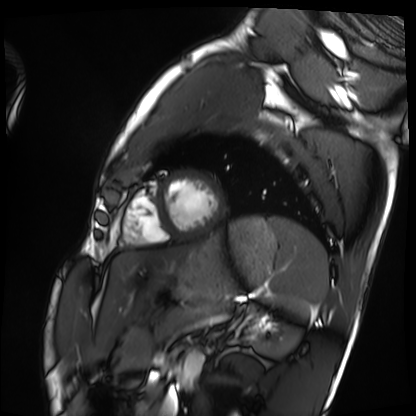
Case summary:
Cardiac MRI. Subject group: healthy volunteer.